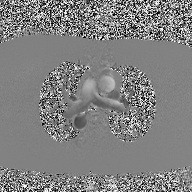
modality: 2D phase-contrast cine MRI of the ascending aorta.